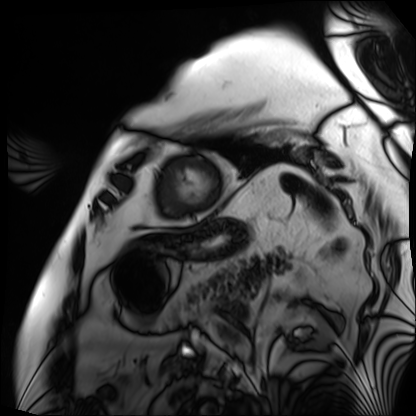
- modality — cardiac MRI
- subject group — patient